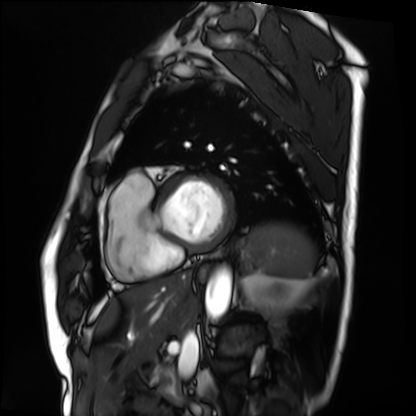
Cardiac MRI. Subject group: patient.